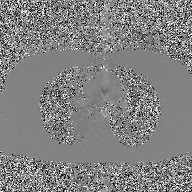
Q: What kind of scan is this?
A: 2D phase-contrast cine MRI of the ascending aorta, GAN super-resolution reconstruction.